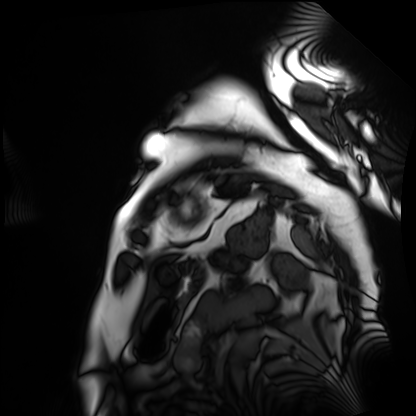
{
  "modality": "cardiac MRI",
  "cohort": "patient"
}